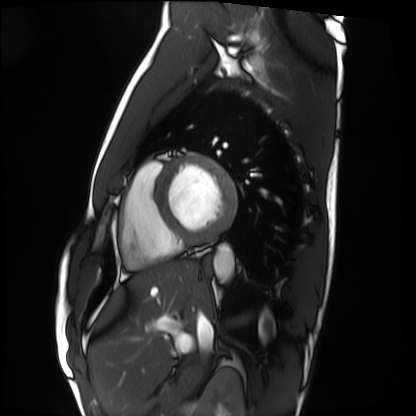
modality = cardiac MRI, subject group = healthy volunteer.